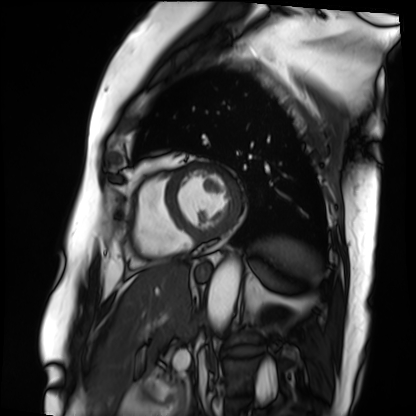
Cardiac MRI. Subject group: patient.